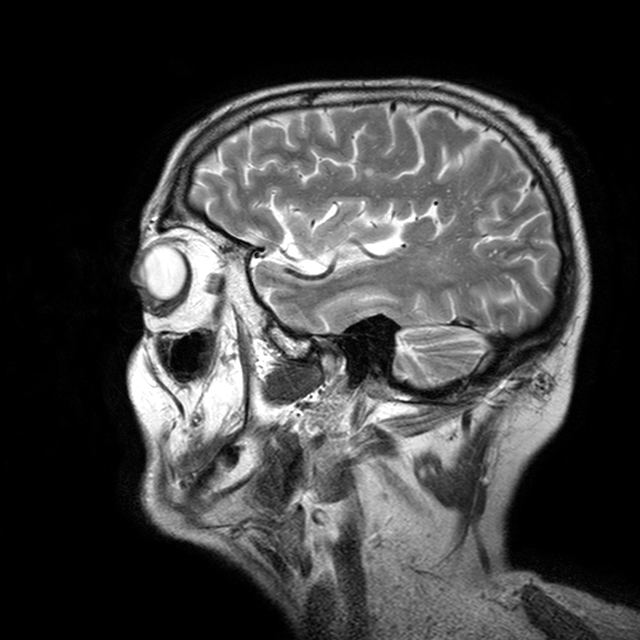
Clinical context: 3 Tesla brain MRI. Series: T2-weighted turbo spin echo with CLEAR. Study: ring-enhancing brain masses.